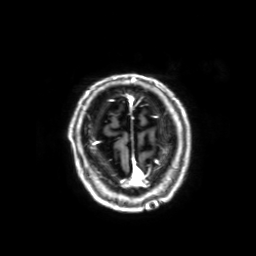
3 Tesla brain MRI.
Series: 3D T1-weighted with SENSE.
Study: ring-enhancing brain masses.